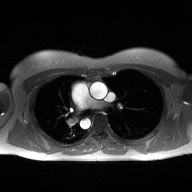
modality: 2D phase-contrast cine MRI of the ascending aorta.